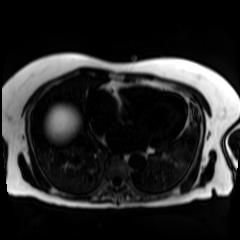
Case:
* modality · chemical-shift-encoded cardiac MRI